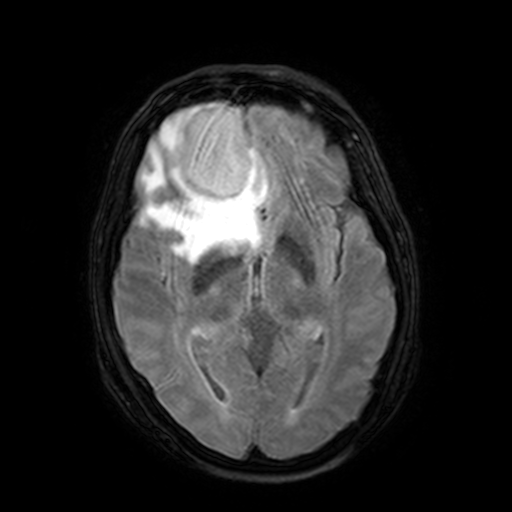
3 Tesla brain MRI.
Series: FLAIR with SPAIR, 3 mm.
Study: ring-enhancing brain masses.